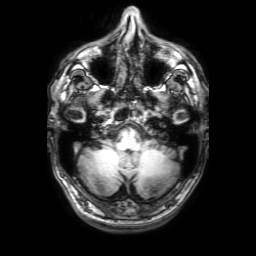
Q: What kind of scan is this?
A: 3 Tesla brain MRI.
Q: Series?
A: 3D T1-weighted with SENSE.
Study: ring-enhancing brain masses.